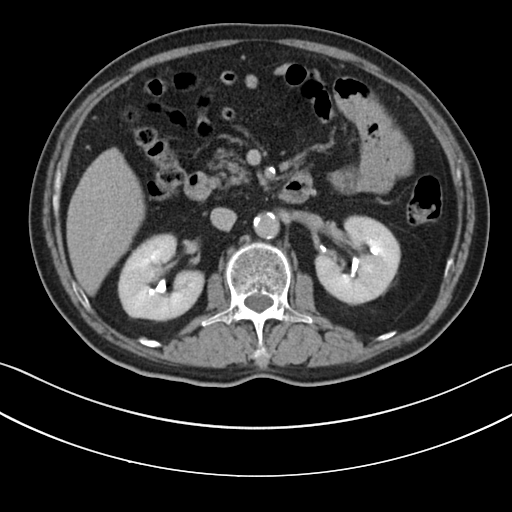
modality: multiphase abdominal CT, liver, delayed phase | patient: male, age 63.